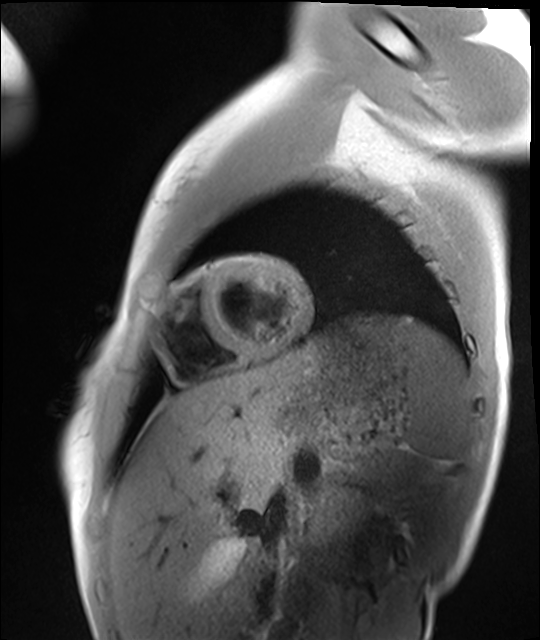
modality: cardiac MRI
subject group: healthy volunteer